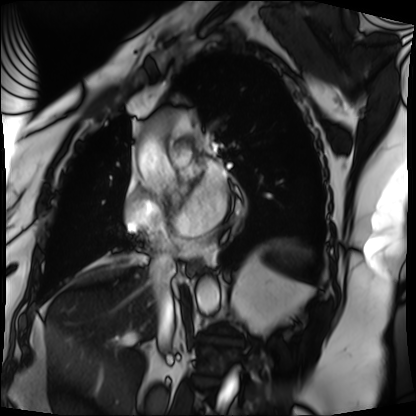
Cardiac MRI. Subject group: patient.